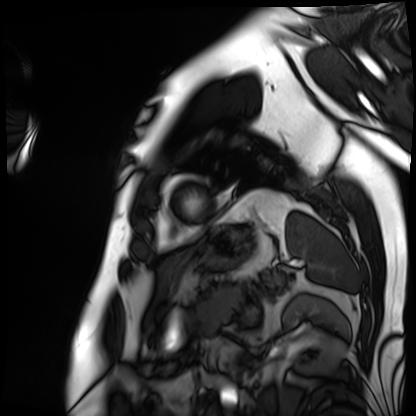
Summary:
Cardiac MRI. Subject group: patient.